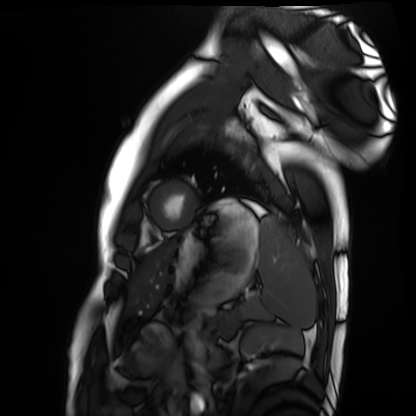
modality = cardiac MRI, subject group = healthy volunteer.